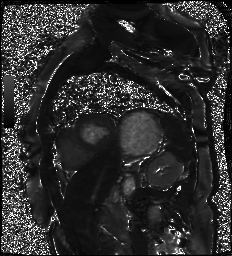
Case:
– modality — cardiac MR image of the myocardium
– subject cohort — cardiac patient